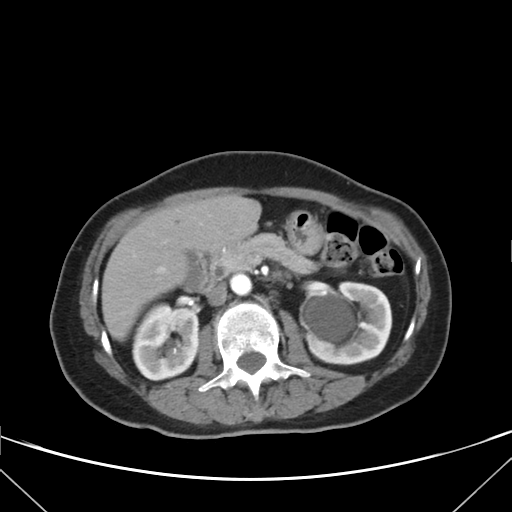
Q: What kind of scan is this?
A: Multiphase abdominal CT, liver, arterial phase.
Q: Patient?
A: Female, age 62.